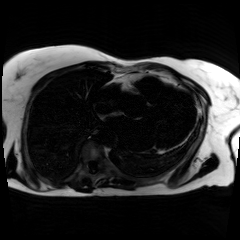
modality=chemical-shift-encoded cardiac MRI.